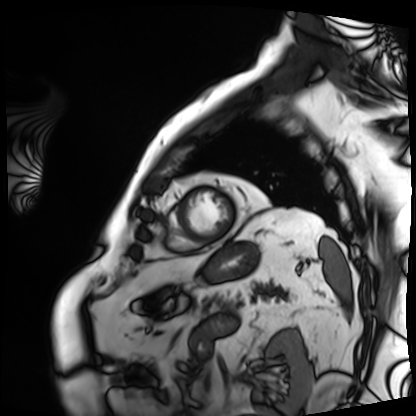
Summary:
Cardiac MRI. Subject group: patient.